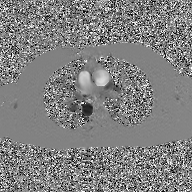
<record>
<modality>
  <type>2D phase-contrast cine MRI</type>
  <region>ascending aorta</region>
  <reconstruction>GAN super-resolution reconstruction</reconstruction>
</modality>
</record>